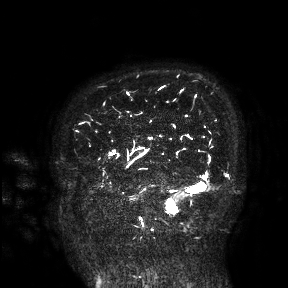
Summary:
3 Tesla brain MRI. Study: ring-enhancing brain masses.